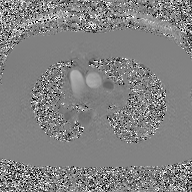
Q: What kind of scan is this?
A: 2D phase-contrast cine MRI of the ascending aorta, GAN super-resolution reconstruction.